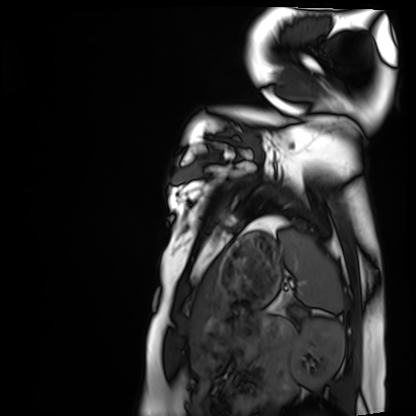
Cardiac MRI. Subject group: healthy volunteer.